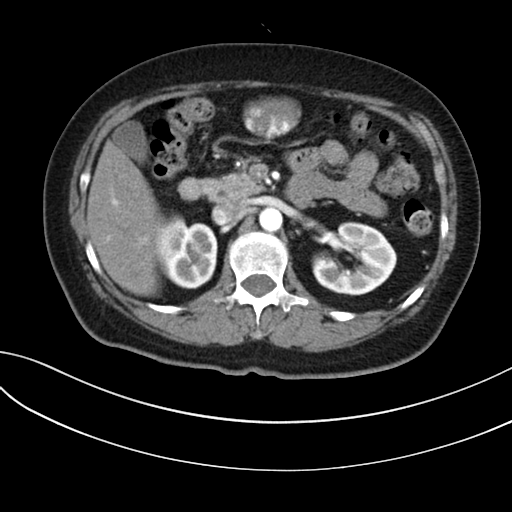
Q: What kind of scan is this?
A: Multiphase abdominal CT, liver, arterial phase.
Q: Patient?
A: Female, age 59.